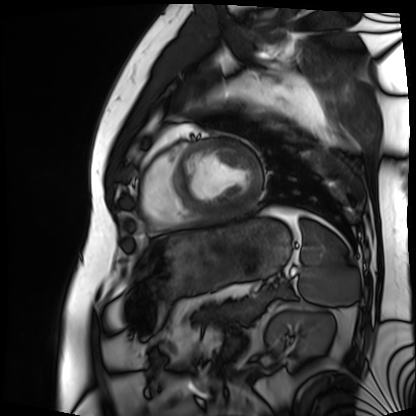
Cardiac MRI.
Subject group: patient.